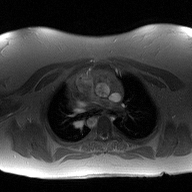
2D phase-contrast cine MRI of the ascending aorta, high-resolution GRAPPA acquisition.